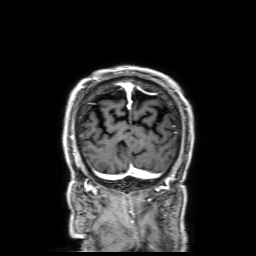
Case summary: 3 Tesla brain MRI. Series: 3D T1-weighted with SENSE. Study: ring-enhancing brain masses.